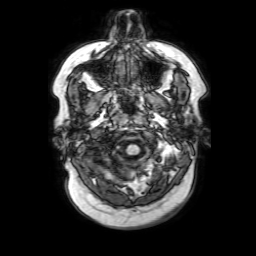
3 Tesla brain MRI. Series: 3D T1-weighted with SENSE. Study: ring-enhancing brain masses.